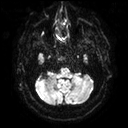
3 Tesla brain MRI. Series: diffusion tensor imaging (medium iso). Study: ring-enhancing brain masses.